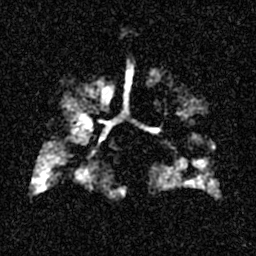
modality: hyperpolarized 129Xe ventilation MRI of the lungs
snr_level: 4 of 8 (the deposit holds this scan as its native image and as seven SNR-degraded versions)